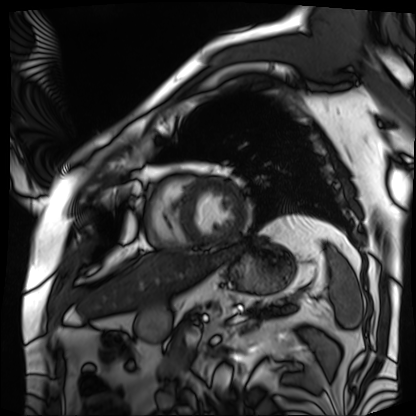
Q: What kind of scan is this?
A: Cardiac MRI.
Subject group: patient.